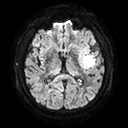
modality: 3 Tesla brain MRI
series: diffusion tensor imaging (medium iso)
study: ring-enhancing brain masses